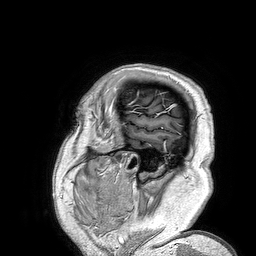
3 Tesla brain MRI.
Series: 3D T1-weighted turbo field echo.
Study: ring-enhancing brain masses.